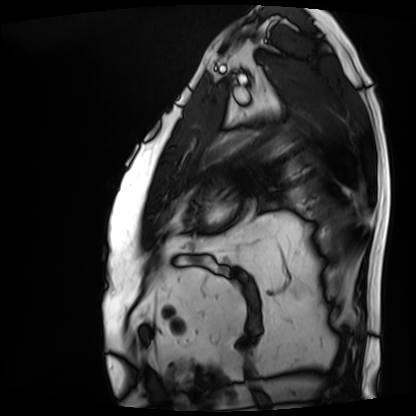
– modality · cardiac MRI
– subject group · patient